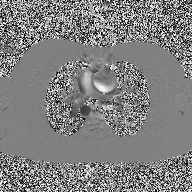
- modality — 2D phase-contrast cine MRI of the ascending aorta